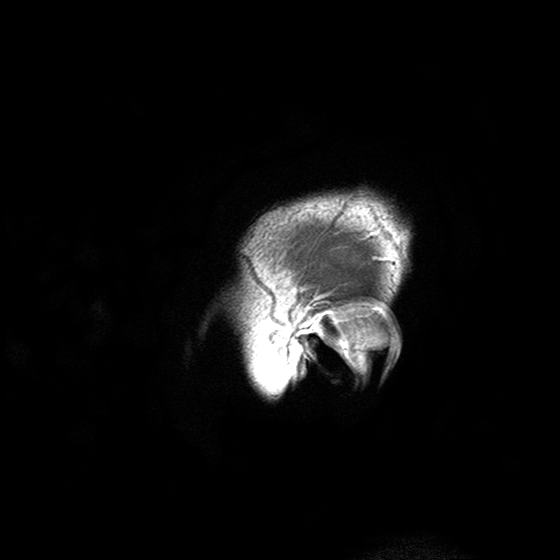
<scan>
<modality>
  <type>brain MRI</type>
  <field_strength>3T</field_strength>
</modality>
<series>T2-weighted turbo spin echo with SENSE</series>
<study_topic>ring-enhancing brain masses</study_topic>
</scan>